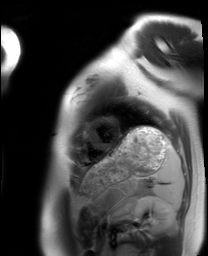
modality — cardiac MRI
subject group — healthy volunteer